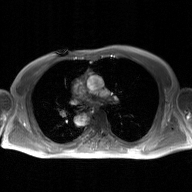
2D phase-contrast cine MRI of the ascending aorta, GAN super-resolution reconstruction.